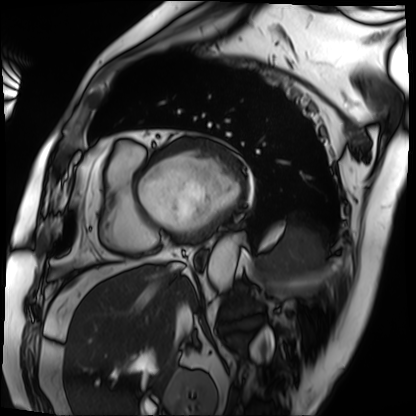
modality = cardiac MRI; subject group = patient.